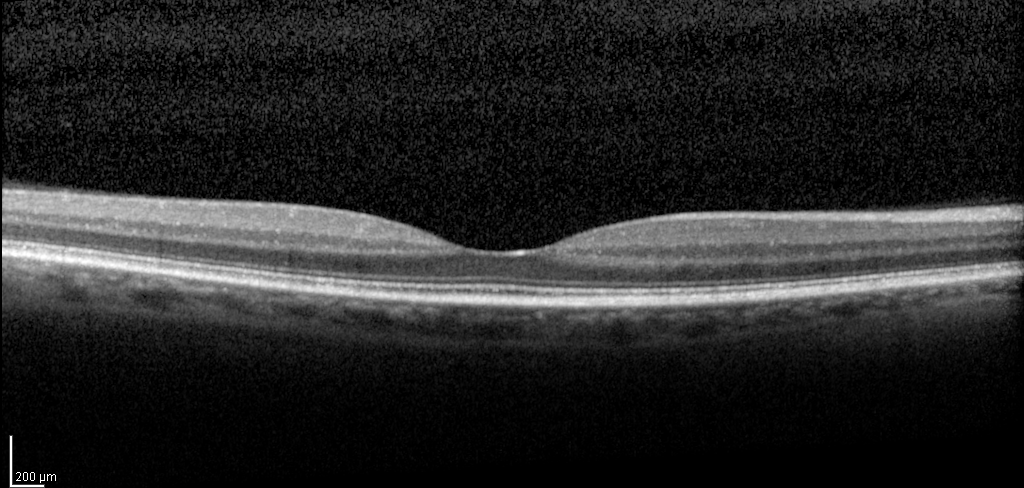
Spectral-domain optical coherence tomography (SD-OCT) of the macula. Subject: male, age 56, right eye. Cohort: diabetic subject. ETDRS-grid retinal thickness (μm): central 255, inner temporal 325, inner nasal 340, inner superior 335, inner inferior 331, outer temporal 275, outer nasal 294, outer superior 290, outer inferior 278.